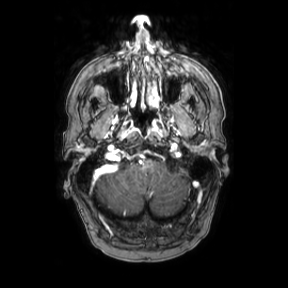
{
  "modality": {
    "type": "brain MRI",
    "field_strength": "3T"
  },
  "series": "axial",
  "study_topic": "ring-enhancing brain masses"
}